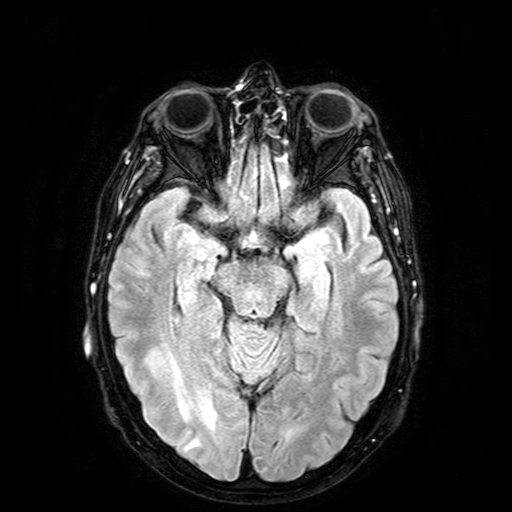
- modality: 3 Tesla brain MRI
- series: FLAIR with SPAIR
- study: ring-enhancing brain masses